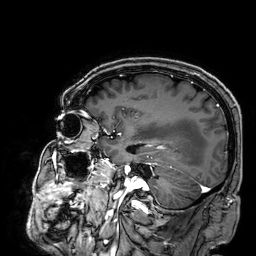
modality — 3 Tesla brain MRI
series — 3D T1-weighted
study — ring-enhancing brain masses